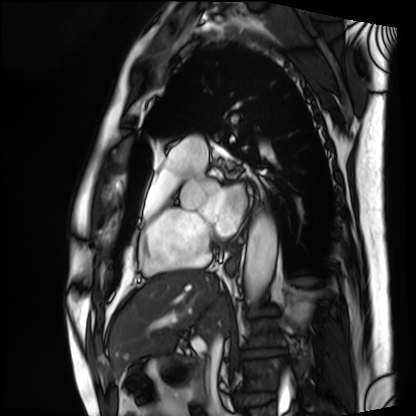
Cardiac MRI. Subject group: patient.